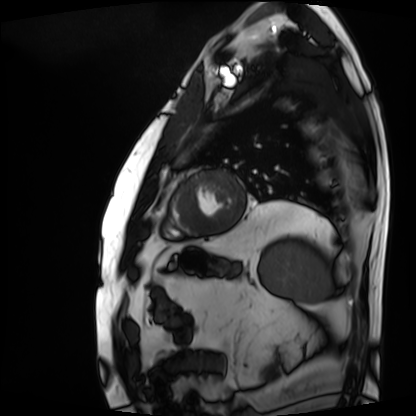
{
  "modality": "cardiac MRI",
  "cohort": "patient"
}